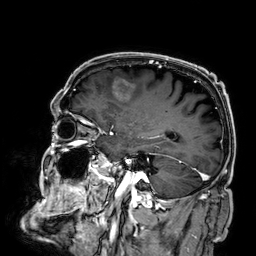
modality: 3 Tesla brain MRI
series: 3D T1-weighted
study: ring-enhancing brain masses